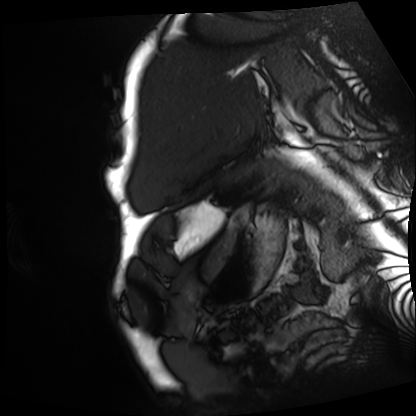
| field | value |
|---|---|
| modality | cardiac MRI |
| subject group | patient |